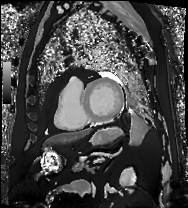
• modality · cardiac MRI
• subject group · patient